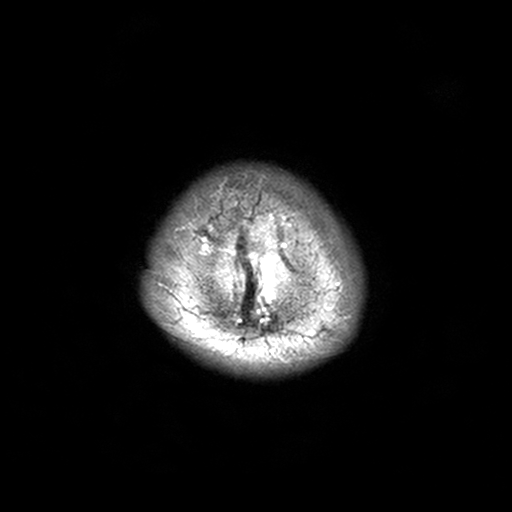
modality=3 Tesla brain MRI; series=T2-weighted turbo spin echo, 3 mm; study=ring-enhancing brain masses.